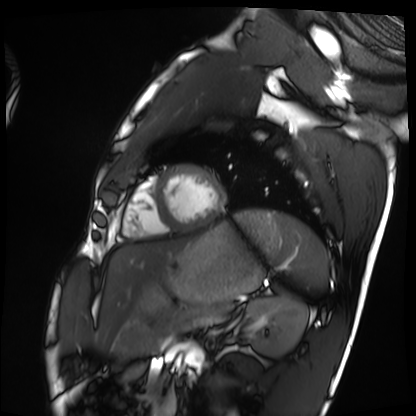
modality: cardiac MRI; subject group: healthy volunteer.